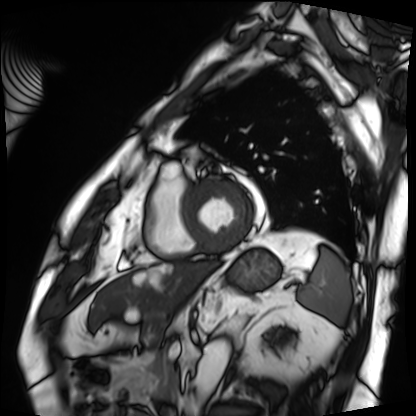
Cardiac MRI. Subject group: patient.